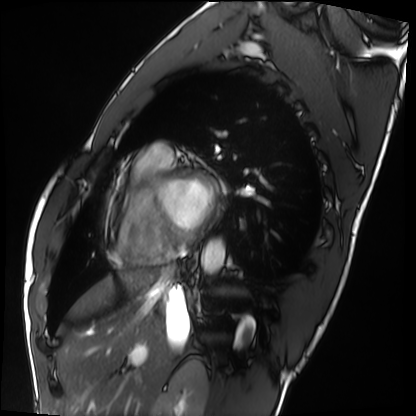
modality: cardiac MRI; subject group: healthy volunteer.